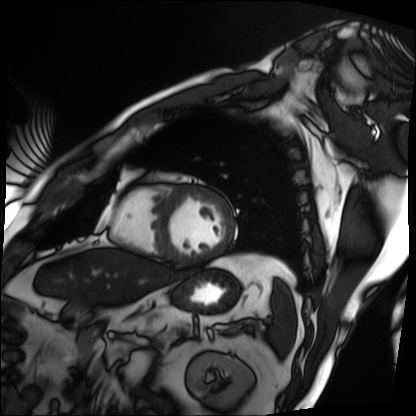
Clinical context: Cardiac MRI. Subject group: patient.